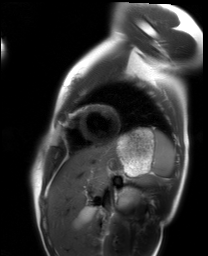
Cardiac MRI.
Subject group: healthy volunteer.